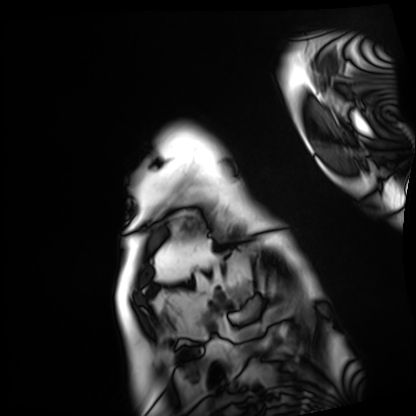
Cardiac MRI. Subject group: patient.